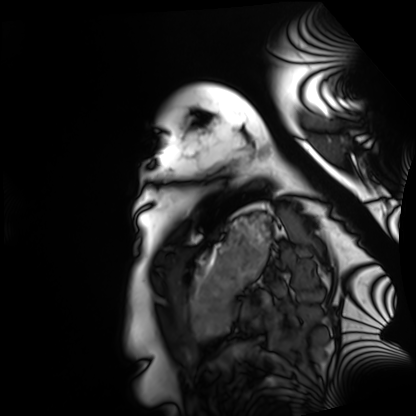
<study>
<modality>cardiac MRI</modality>
<cohort>healthy volunteer</cohort>
</study>